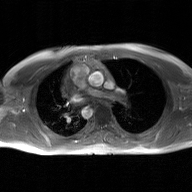
modality = 2D phase-contrast cine MRI of the ascending aorta, GAN super-resolution reconstruction.